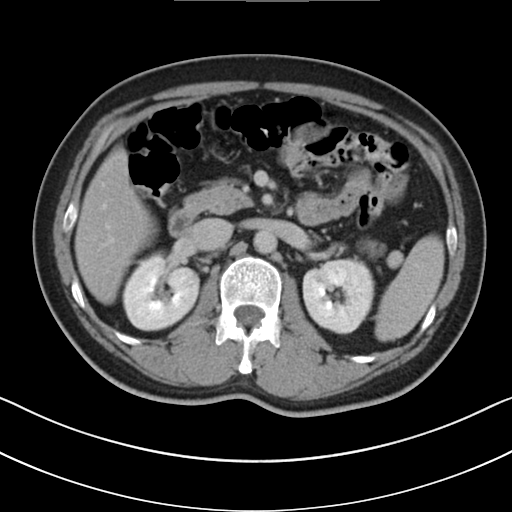
| field | value |
|---|---|
| modality | multiphase abdominal CT, liver, delayed phase |